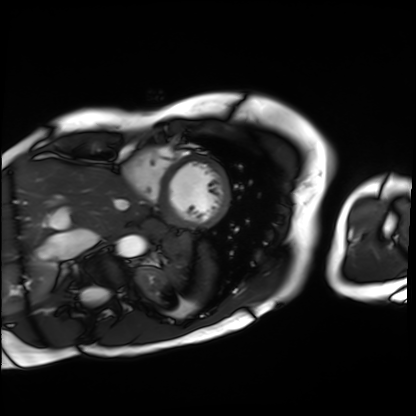
* modality — cardiac MRI
* subject group — patient